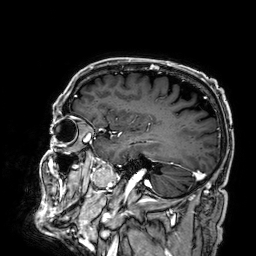
– modality · 3 Tesla brain MRI
– series · 3D T1-weighted
– study · ring-enhancing brain masses